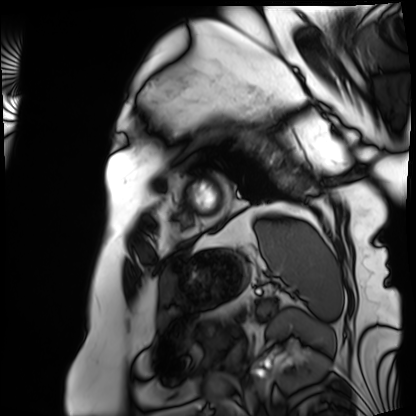
* modality · cardiac MRI
* subject group · patient